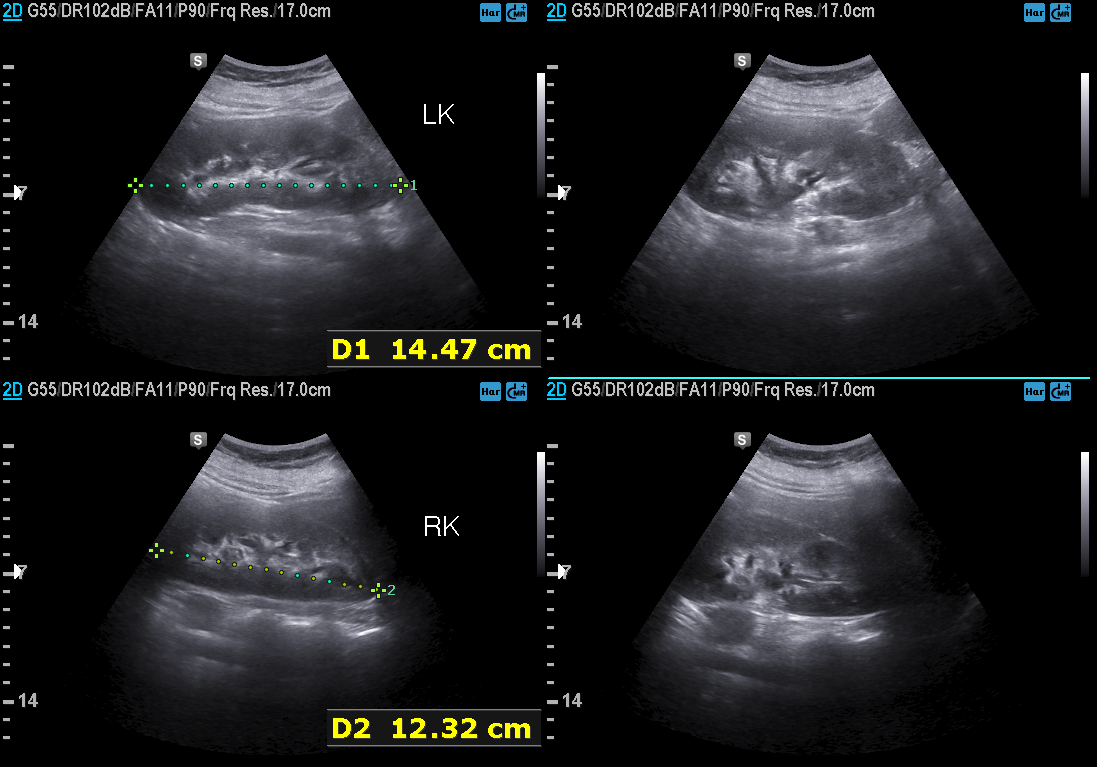
modality: genitourinary ultrasound.